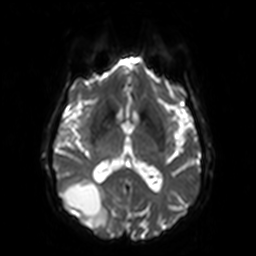
Q: What kind of scan is this?
A: 3 Tesla brain MRI.
Q: Series?
A: Diffusion-weighted imaging.
Study: ring-enhancing brain masses.